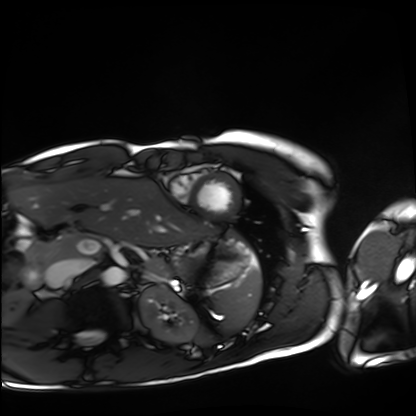
Case:
- modality · cardiac MRI
- subject group · healthy volunteer